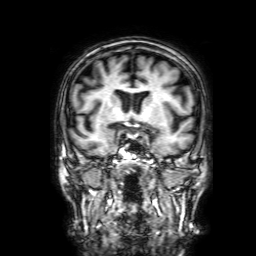
modality:
  type: brain MRI
  field_strength: 3T
series: 3D T1-weighted with SENSE
study_topic: ring-enhancing brain masses